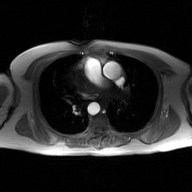
2D phase-contrast cine MRI of the ascending aorta, GAN super-resolution reconstruction.